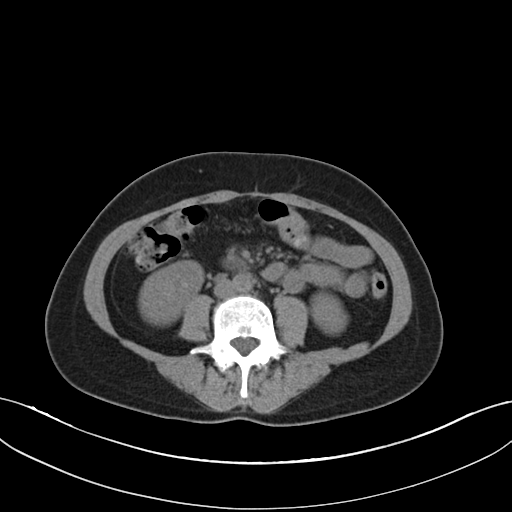
modality: multiphase abdominal CT, liver, non-contrast phase; patient: female, age 49.